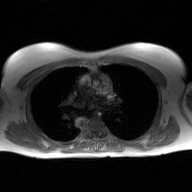
Q: What kind of scan is this?
A: 2D phase-contrast cine MRI of the ascending aorta, GAN super-resolution reconstruction.